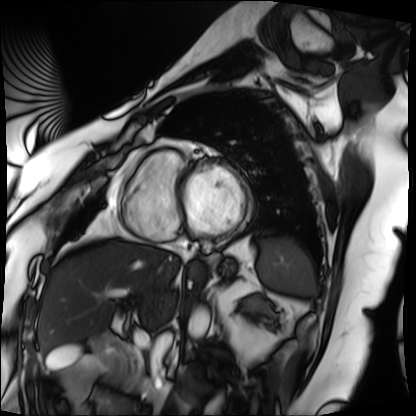
{"modality": "cardiac MRI", "cohort": "patient"}